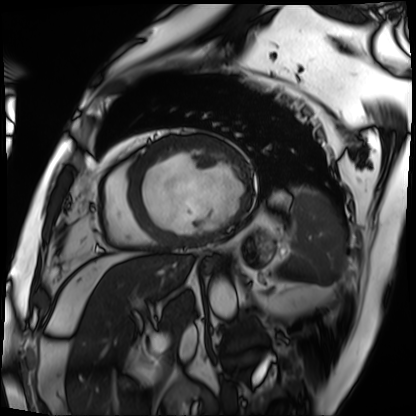
Case summary: Cardiac MRI. Subject group: patient.